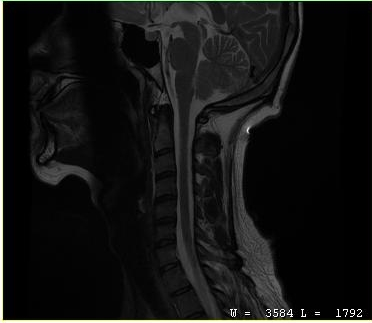
Clinical context: MRI of the cervical spine. Study: cervical spondylosis.